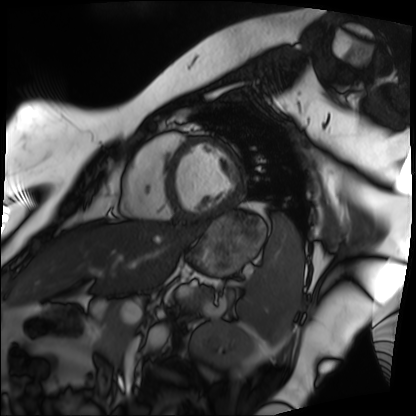
Cardiac MRI.
Subject group: patient.